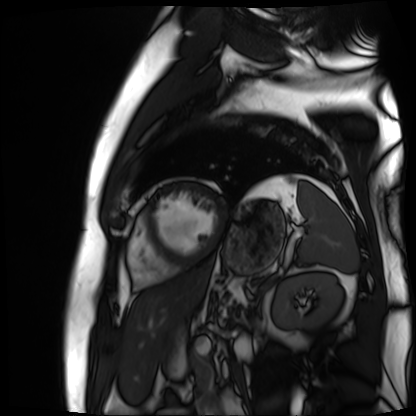
| field | value |
|---|---|
| modality | cardiac MR image of the myocardium |
| subject cohort | cardiac patient |